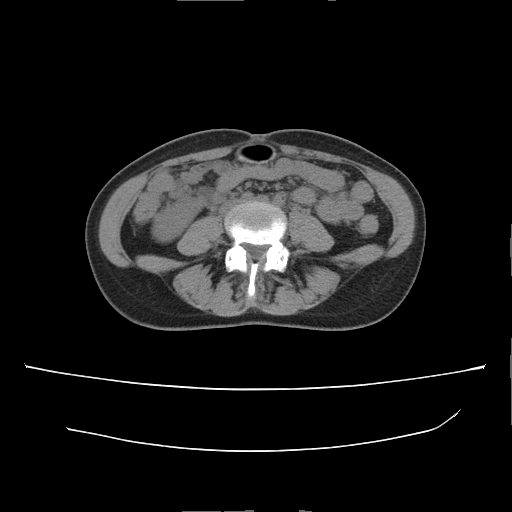
Multiphase abdominal CT, liver, non-contrast phase. Patient: female, age 35. History: prior chemotherapy.